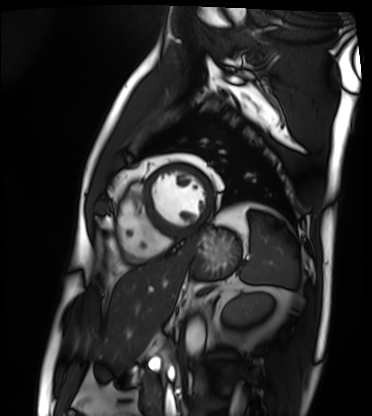
Cardiac MRI.
Subject group: patient.